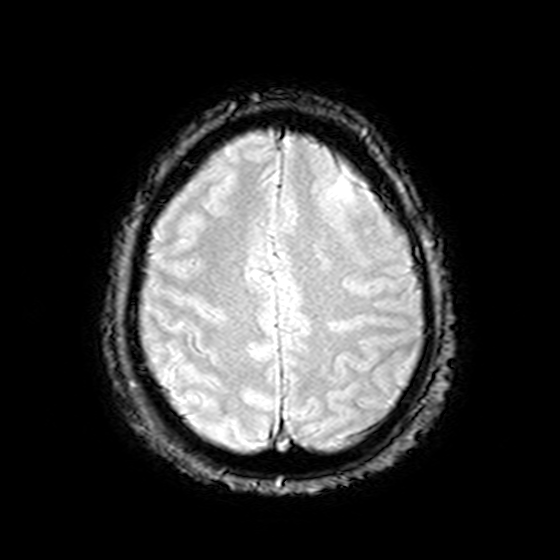
<record>
  <modality>
    <type>brain MRI</type>
    <field_strength>3T</field_strength>
  </modality>
  <series>T2-weighted fast field echo</series>
  <study_topic>ring-enhancing brain masses</study_topic>
</record>